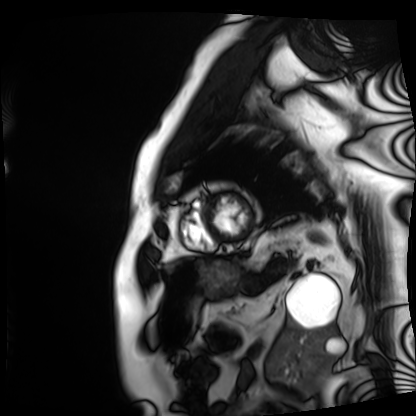
Q: What kind of scan is this?
A: Cardiac MRI.
Subject group: patient.